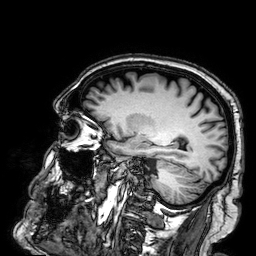
3 Tesla brain MRI.
Series: 3D T1-weighted.
Study: ring-enhancing brain masses.